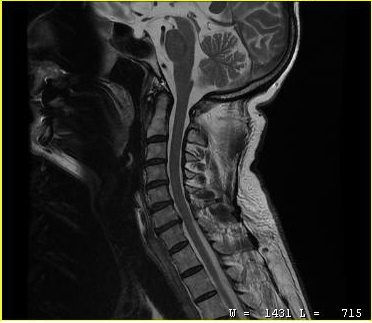
Q: What kind of scan is this?
A: MRI of the cervical spine.
Study: cervical spondylosis.